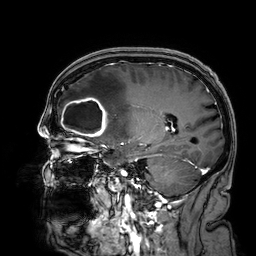
modality = 3 Tesla brain MRI; series = 3D T1-weighted; study = ring-enhancing brain masses.